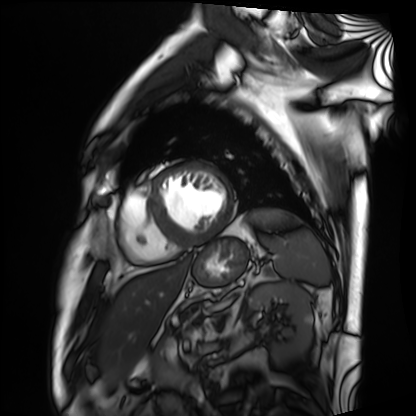
Cardiac MRI.
Subject group: patient.